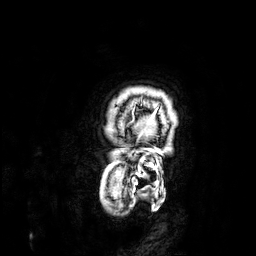
modality=3 Tesla brain MRI; series=3D T1-weighted; study=ring-enhancing brain masses.